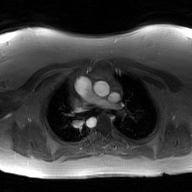
Case summary: 2D phase-contrast cine MRI of the ascending aorta, GAN super-resolution reconstruction.